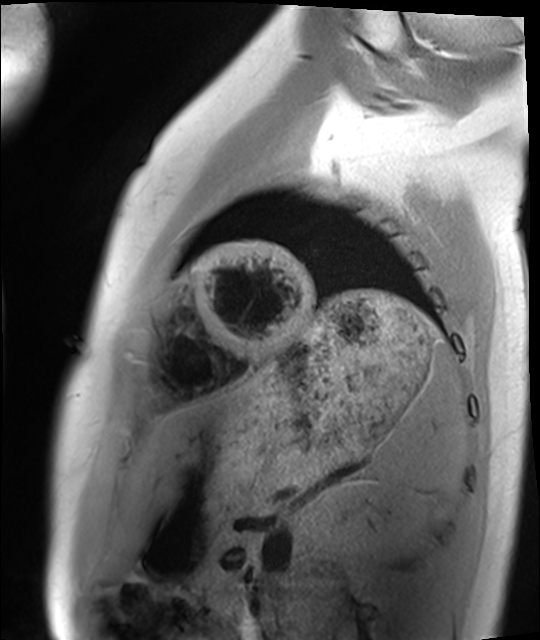
modality: cardiac MRI
subject group: healthy volunteer